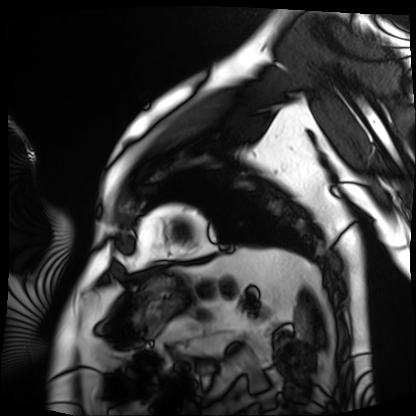
modality: cardiac MRI
cohort: patient